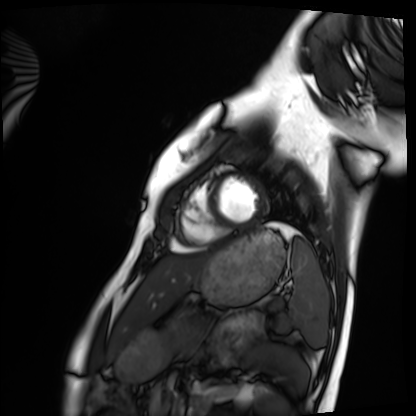
modality=cardiac MRI | subject group=healthy volunteer.